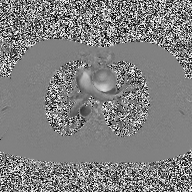
| field | value |
|---|---|
| modality | 2D phase-contrast cine MRI of the ascending aorta |